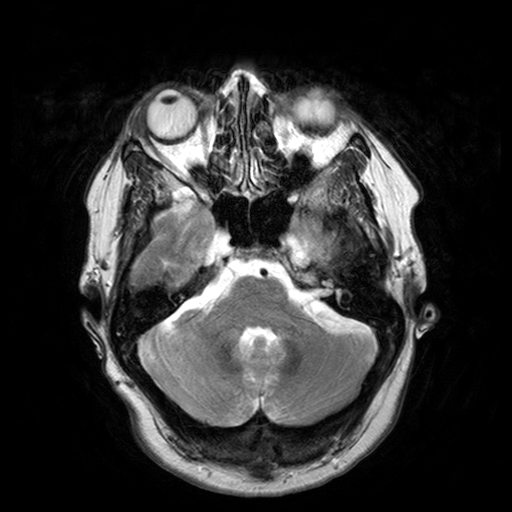
3 Tesla brain MRI.
Series: T2-weighted turbo spin echo with SENSE.
Study: ring-enhancing brain masses.